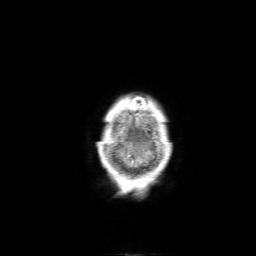
Clinical context:
3 Tesla brain MRI. Series: 3D T1-weighted with SENSE. Study: ring-enhancing brain masses.